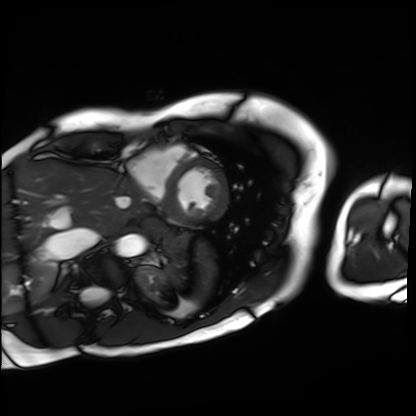
Summary: Cardiac MRI. Subject group: patient.